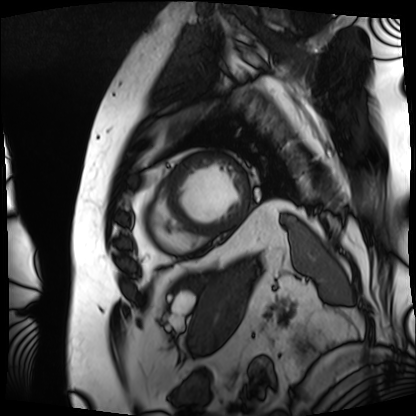
modality — cardiac MRI | subject group — patient.